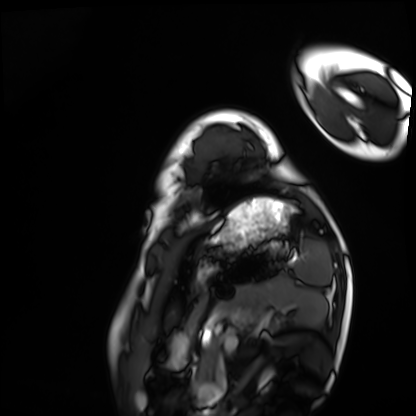
modality = cardiac MRI, subject group = healthy volunteer.